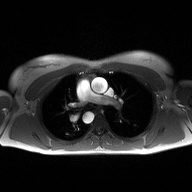
modality: 2D phase-contrast cine MRI of the ascending aorta.